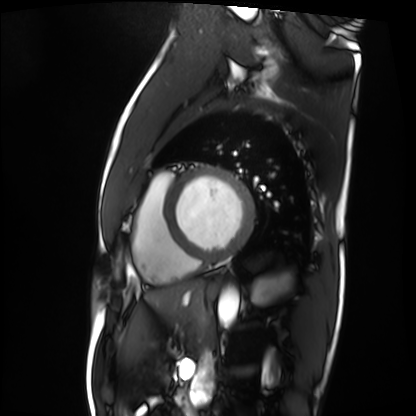
{"modality": "cardiac MRI", "cohort": "patient"}